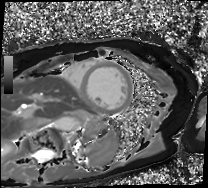
Case summary: Cardiac MRI. Subject group: patient.